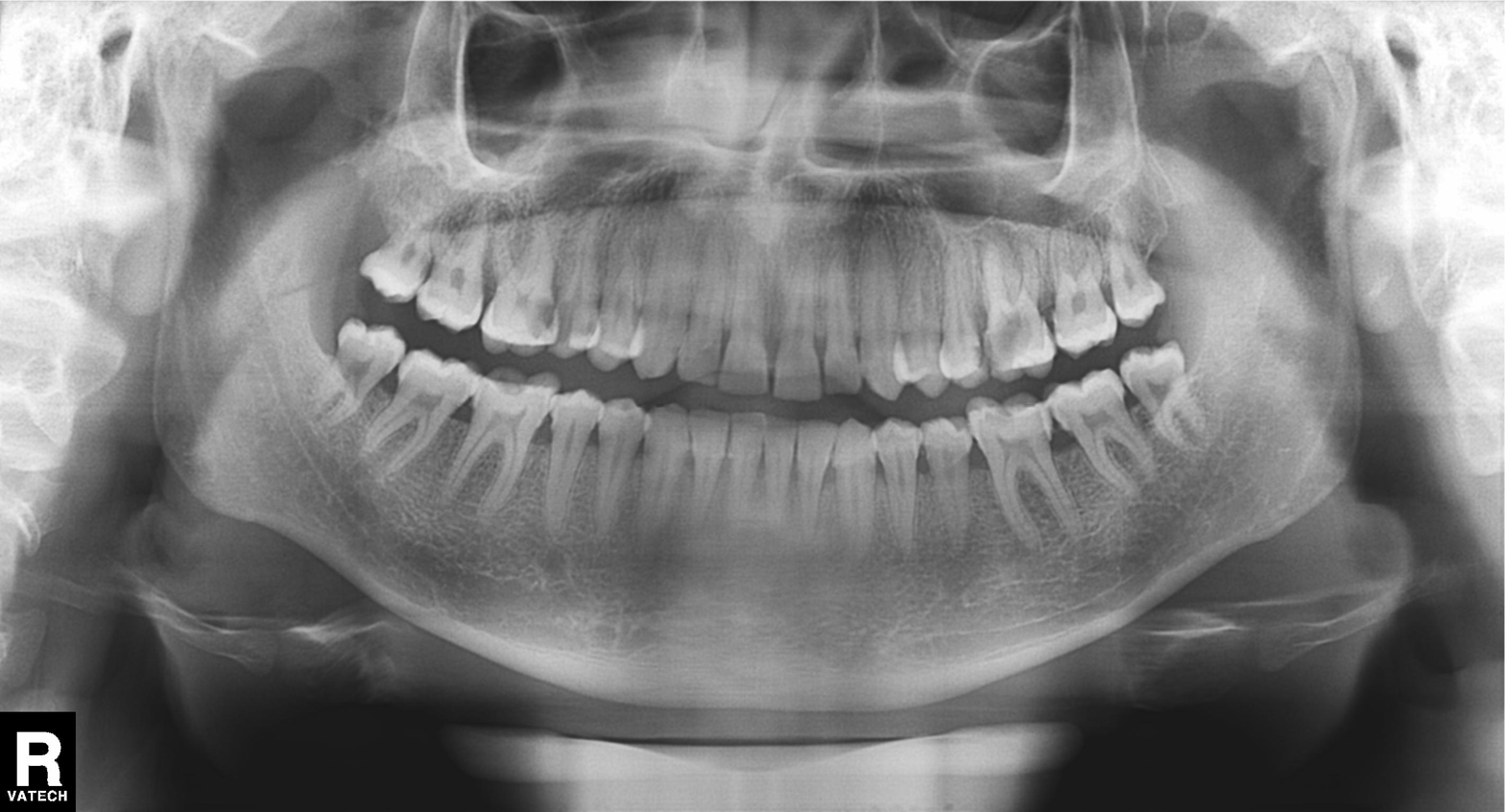
{
  "modality": "panoramic dental radiograph (orthopantomogram)",
  "finding": "dental caries (cavities)"
}